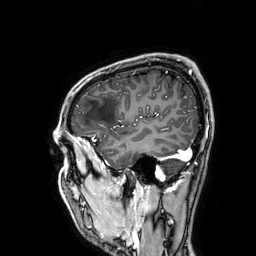
<scan>
<modality>
  <type>brain MRI</type>
  <field_strength>3T</field_strength>
</modality>
<series>3D T1-weighted</series>
<study_topic>ring-enhancing brain masses</study_topic>
</scan>